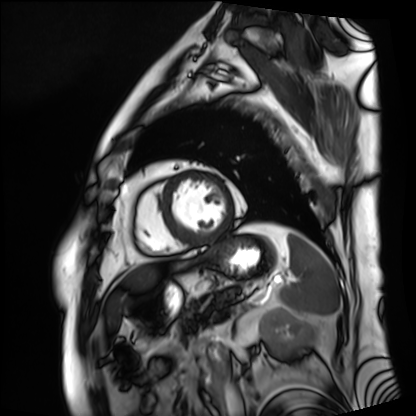
Cardiac MRI. Subject group: patient.